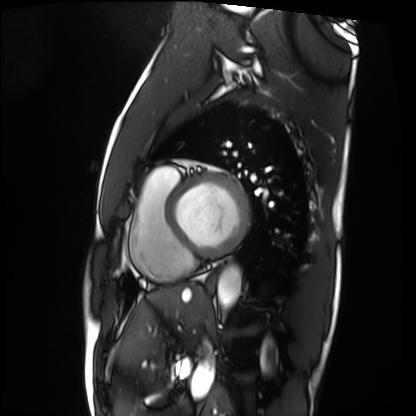
Cardiac MRI.
Subject group: patient.